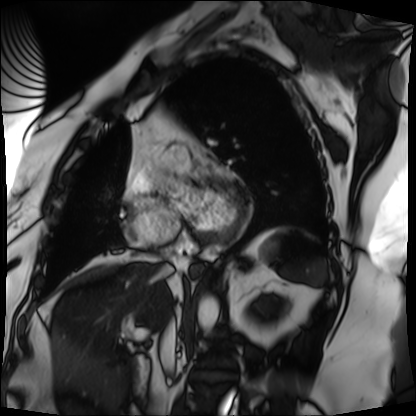
modality: cardiac MRI, subject group: patient.